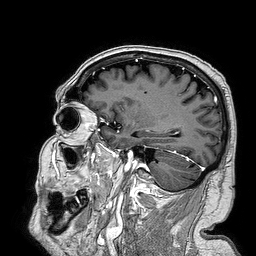
3 Tesla brain MRI. Series: 3D T1-weighted turbo field echo. Study: ring-enhancing brain masses.